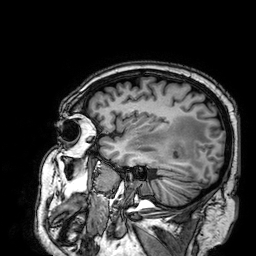
modality:
  type: brain MRI
  field_strength: 3T
series: 3D T1-weighted
study_topic: ring-enhancing brain masses